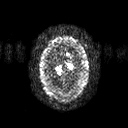
Case:
* modality: 3 Tesla brain MRI
* series: diffusion tensor imaging (medium iso)
* study: ring-enhancing brain masses